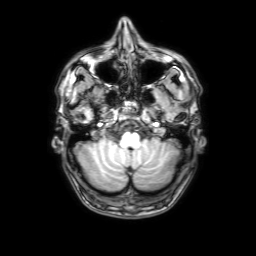
modality: 3 Tesla brain MRI | series: 3D T1-weighted with SENSE | study: ring-enhancing brain masses.